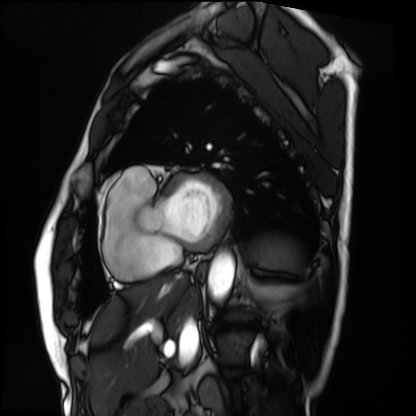
Cardiac MRI. Subject group: patient.